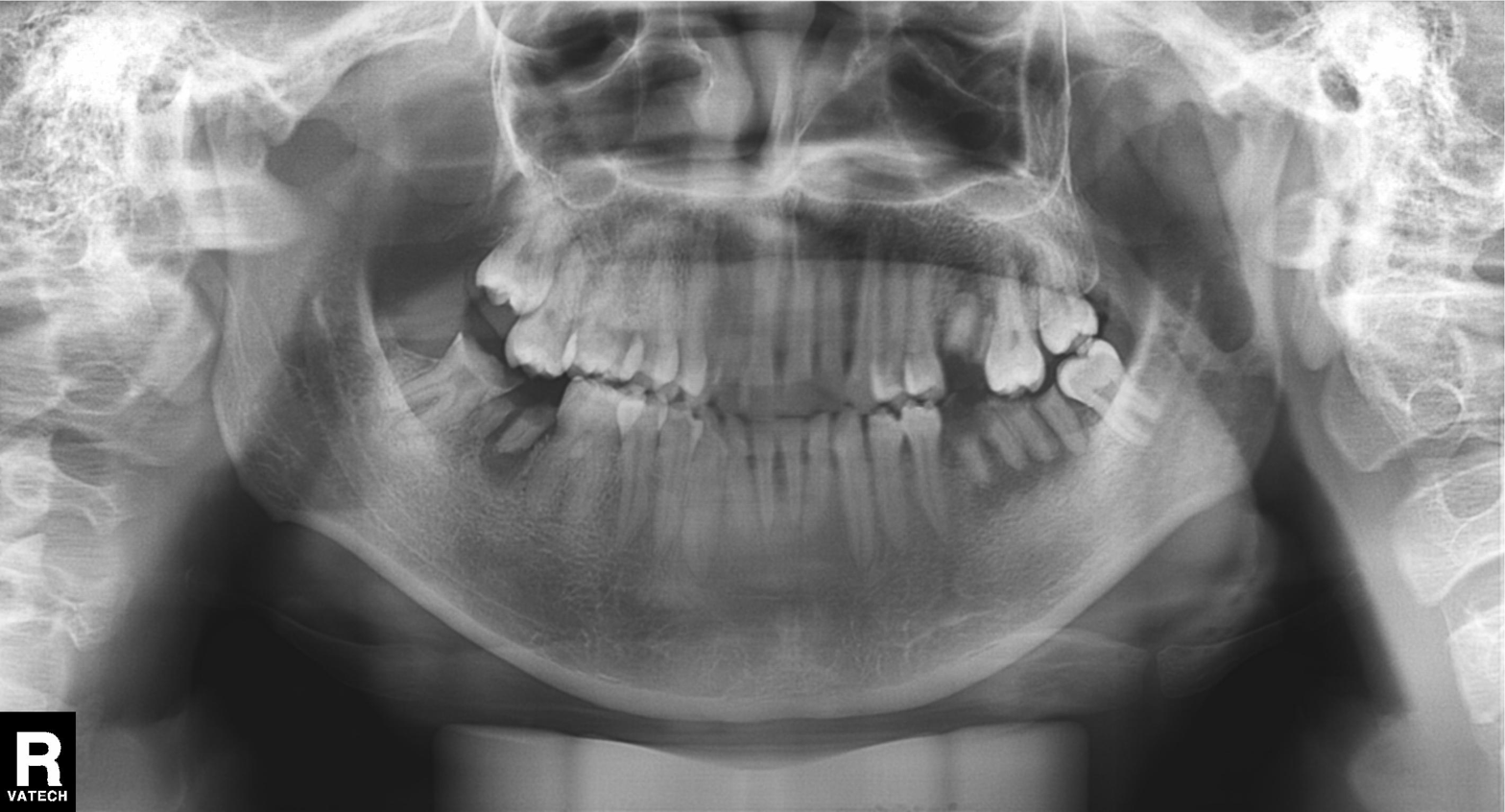
Panoramic dental radiograph (orthopantomogram). Finding: tooth impaction.